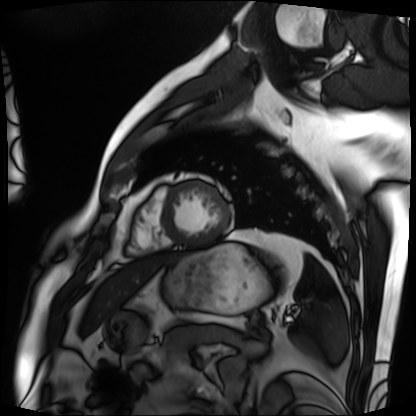
<record>
  <modality>cardiac MRI</modality>
  <cohort>patient</cohort>
</record>